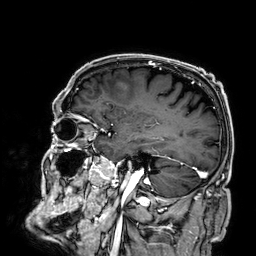
Q: What kind of scan is this?
A: 3 Tesla brain MRI.
Q: Series?
A: 3D T1-weighted.
Study: ring-enhancing brain masses.